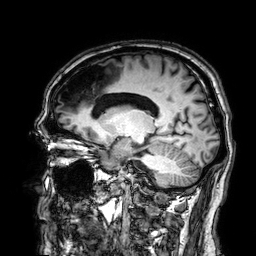
– modality: 3 Tesla brain MRI
– series: 3D T1-weighted
– study: ring-enhancing brain masses